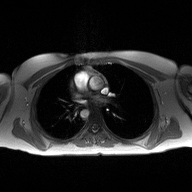
| field | value |
|---|---|
| modality | 2D phase-contrast cine MRI of the ascending aorta |